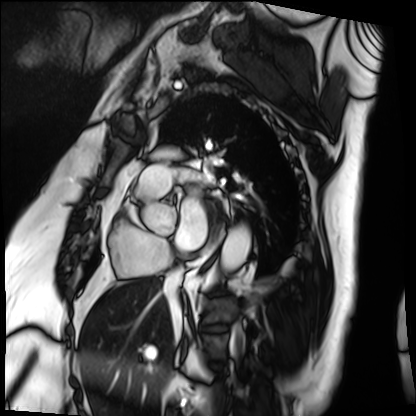
* modality: cardiac MRI
* subject group: patient